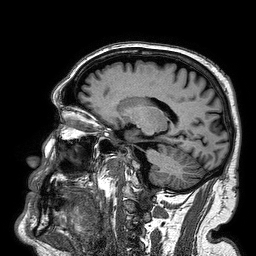
<record>
  <modality>
    <type>brain MRI</type>
    <field_strength>3T</field_strength>
  </modality>
  <study_topic>ring-enhancing brain masses</study_topic>
</record>